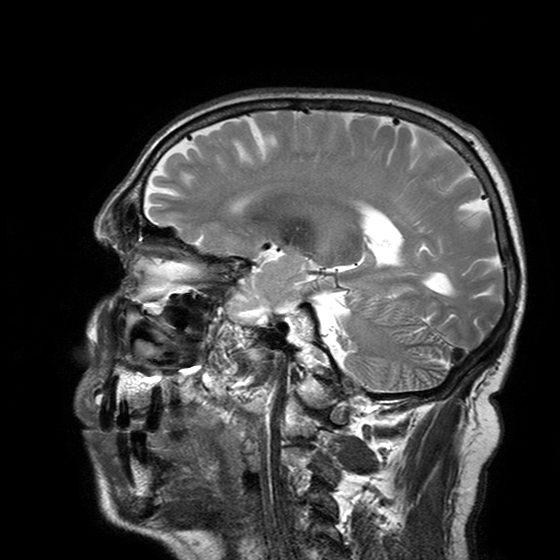
modality: 3 Tesla brain MRI; series: T2-weighted turbo spin echo with SENSE; study: ring-enhancing brain masses.